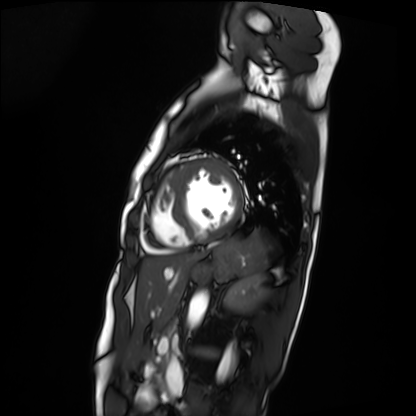
modality — cardiac MRI | subject group — patient.